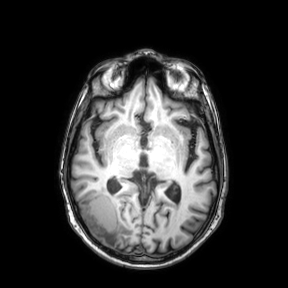
| field | value |
|---|---|
| modality | 3 Tesla brain MRI |
| series | axial |
| study | ring-enhancing brain masses |